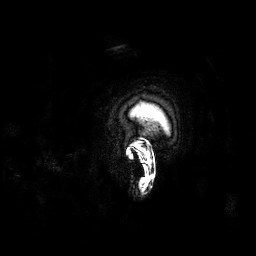
3 Tesla brain MRI. Series: 3D T1-weighted. Study: ring-enhancing brain masses.